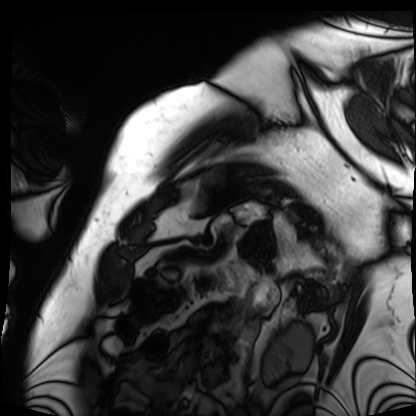
modality = cardiac MRI; subject group = patient.